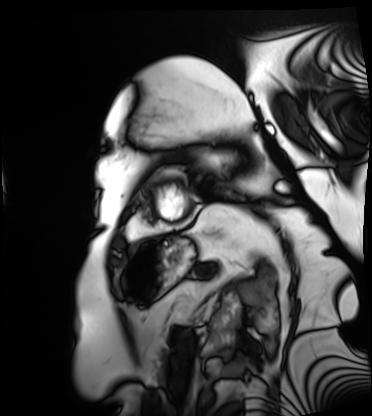
<record>
<modality>cardiac MRI</modality>
<cohort>patient</cohort>
</record>